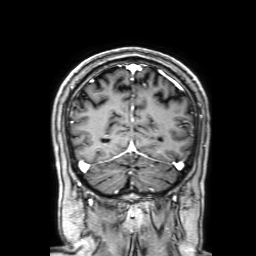
Q: What kind of scan is this?
A: 3 Tesla brain MRI.
Q: Series?
A: 3D T1-weighted with SENSE.
Study: ring-enhancing brain masses.